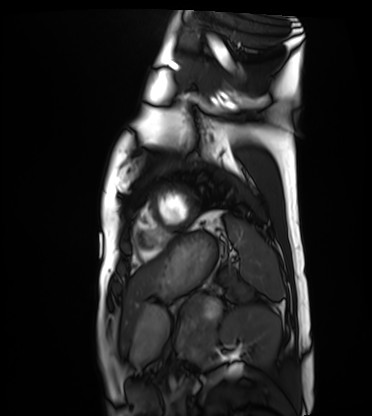
Case:
* modality: cardiac MRI
* subject group: healthy volunteer